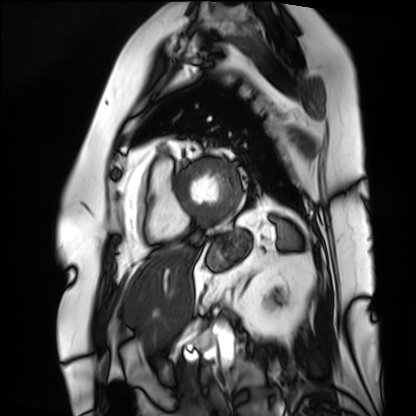
Summary:
Cardiac MRI. Subject group: patient.